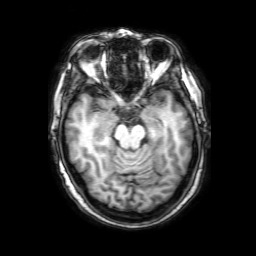
{"modality": {"type": "brain MRI", "field_strength": "3T"}, "series": "3D T1-weighted with SENSE", "study_topic": "ring-enhancing brain masses"}